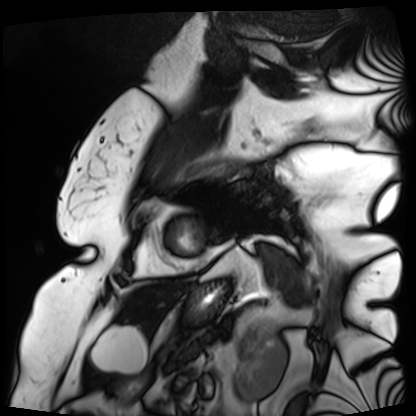
  modality: cardiac MRI
  cohort: patient